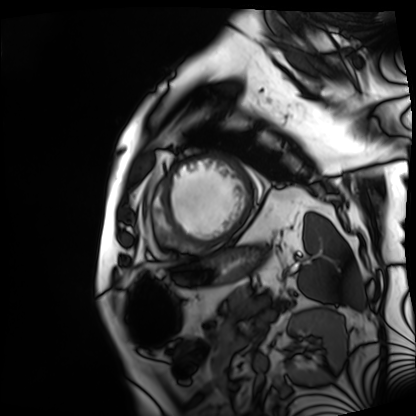
Clinical context: Cardiac MRI. Subject group: patient.